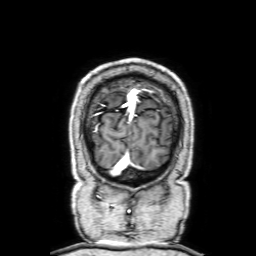
3 Tesla brain MRI.
Series: 3D T1-weighted with SENSE.
Study: ring-enhancing brain masses.